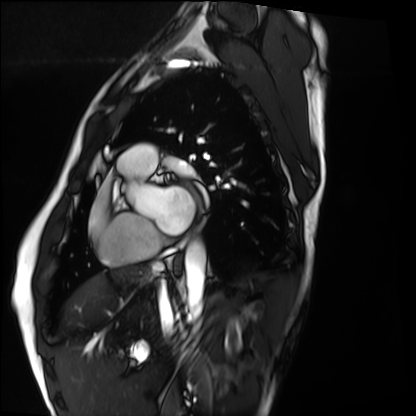
Summary:
Cardiac MRI. Subject group: healthy volunteer.